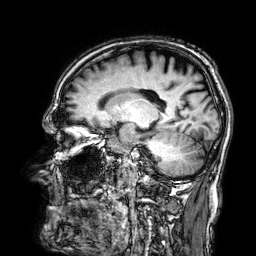
  modality:
    type: brain MRI
    field_strength: 3T
  series: 3D T1-weighted
  study_topic: ring-enhancing brain masses